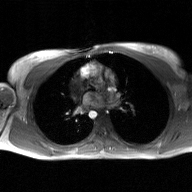
Clinical context: 2D phase-contrast cine MRI of the ascending aorta, GAN super-resolution reconstruction.